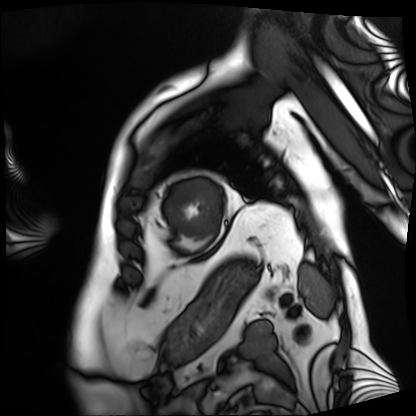
modality: cardiac MRI; subject group: patient.